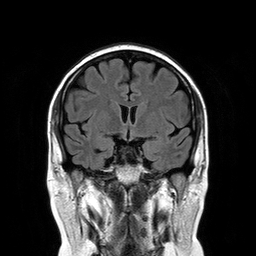
Q: What kind of scan is this?
A: 3 Tesla brain MRI.
Q: Series?
A: T2-weighted FLAIR.
Study: ring-enhancing brain masses.